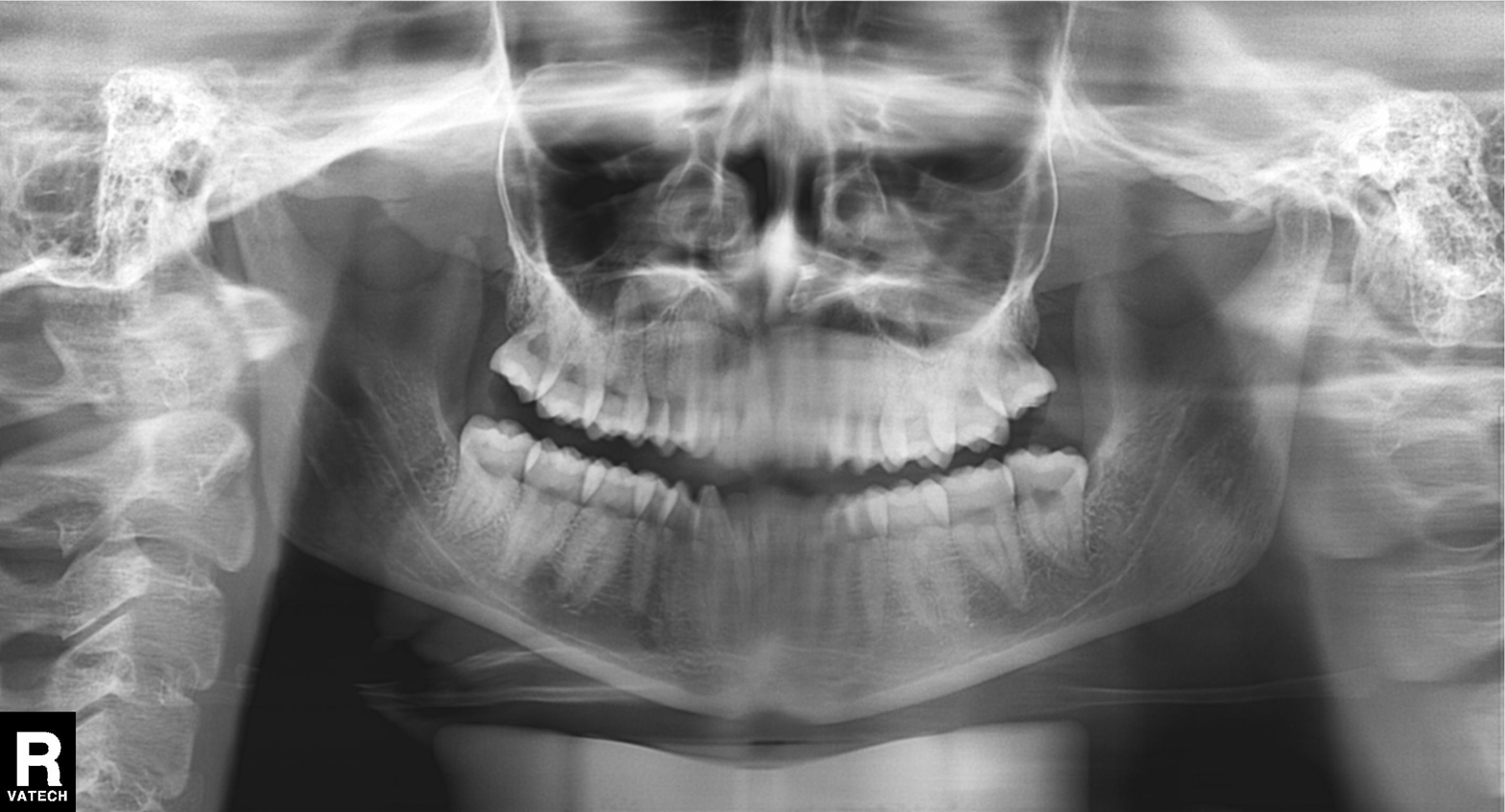
Panoramic dental radiograph (orthopantomogram). Finding: dental caries (cavities).